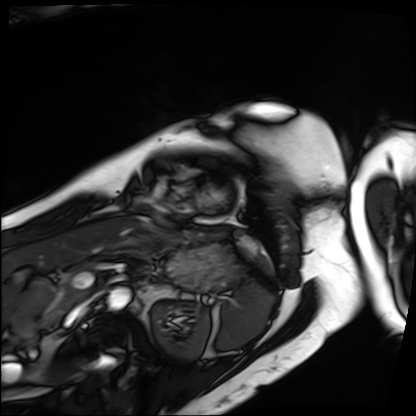
modality: cardiac MRI
subject group: patient